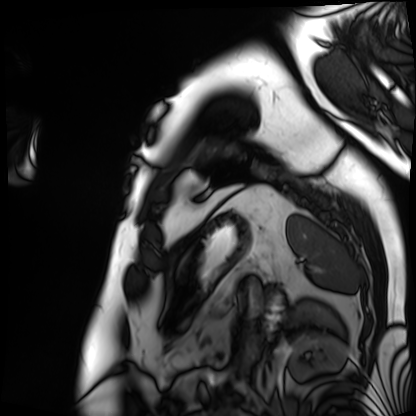
Cardiac MRI. Subject group: patient.